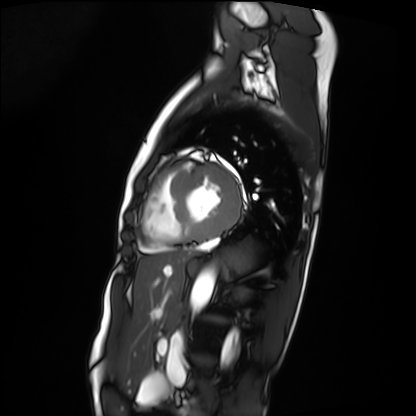
modality: cardiac MRI, subject group: patient.